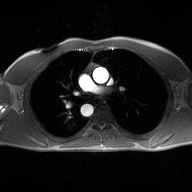
- modality: 2D phase-contrast cine MRI of the ascending aorta